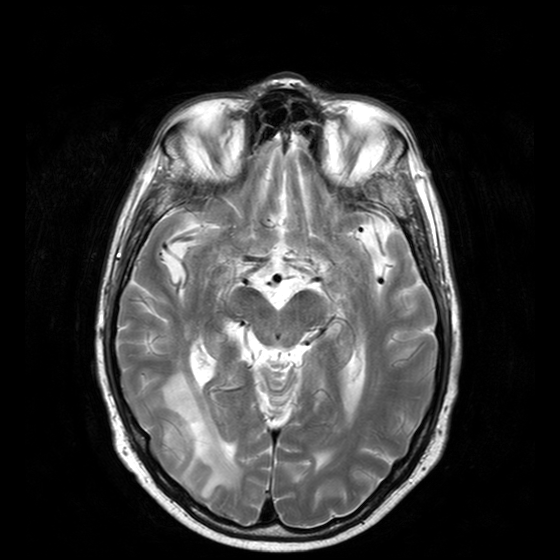
3 Tesla brain MRI. Study: ring-enhancing brain masses.